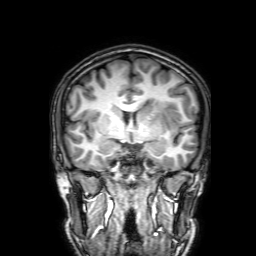
{"modality": {"type": "brain MRI", "field_strength": "3T"}, "series": "3D T1-weighted with SENSE", "study_topic": "ring-enhancing brain masses"}